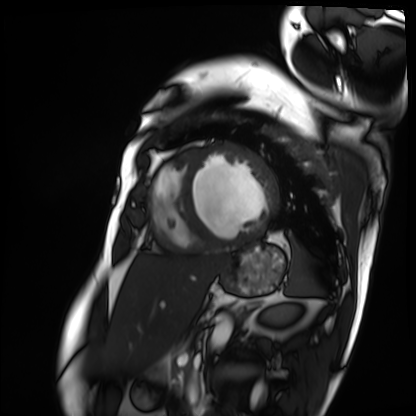
- modality — cardiac MRI
- subject group — patient